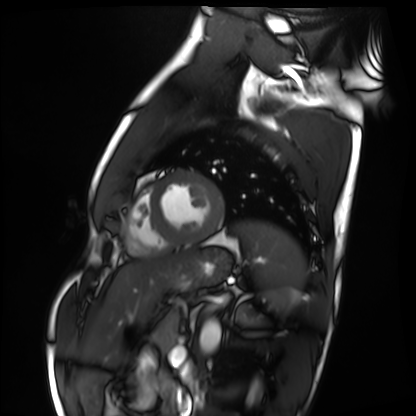
Case:
- modality · cardiac MRI
- subject group · healthy volunteer